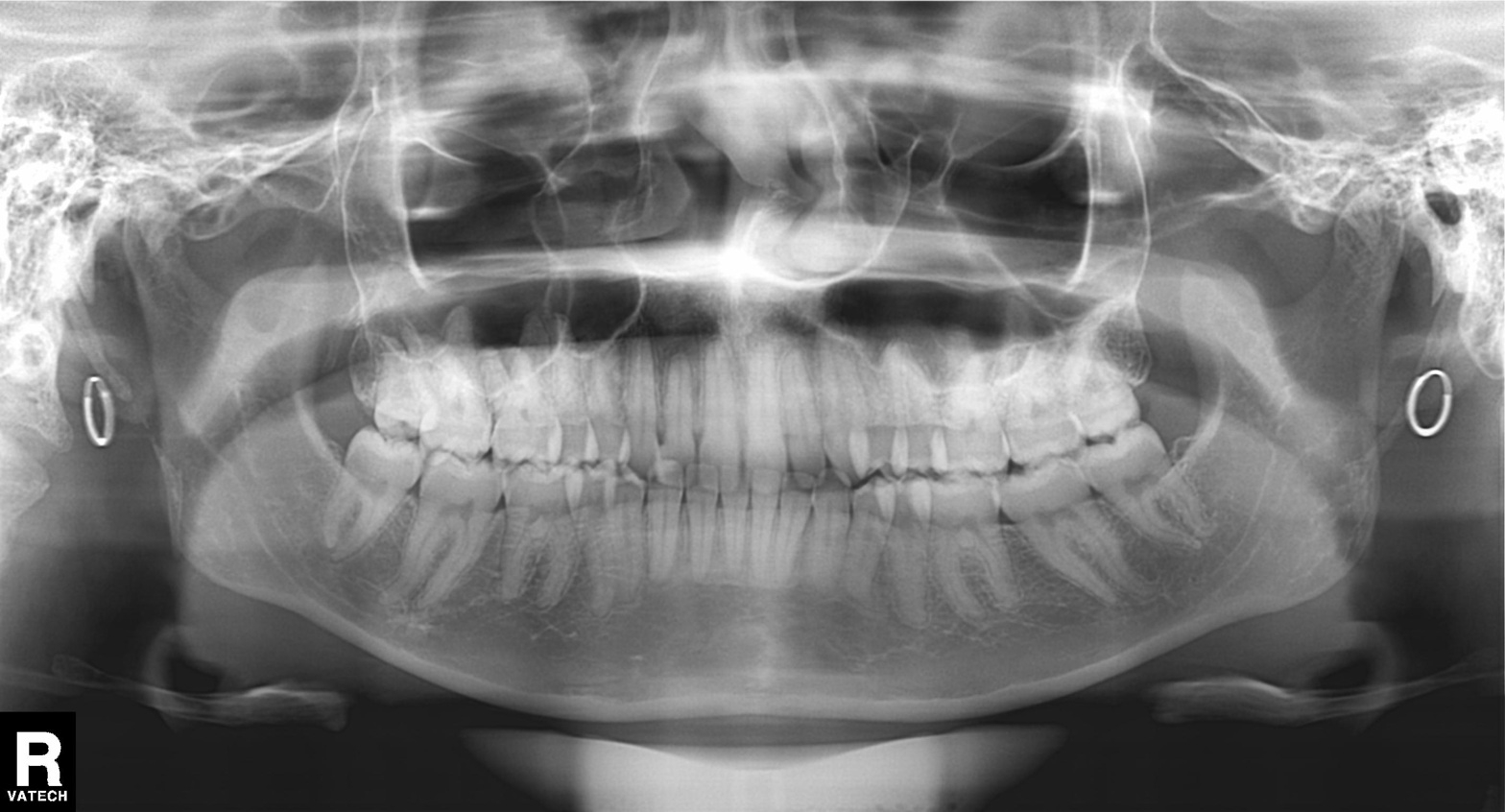
Clinical context:
Panoramic dental radiograph (orthopantomogram).
Assessment:
Tooth impaction.